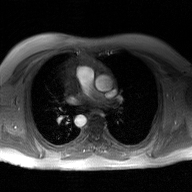
2D phase-contrast cine MRI of the ascending aorta, GAN super-resolution reconstruction.